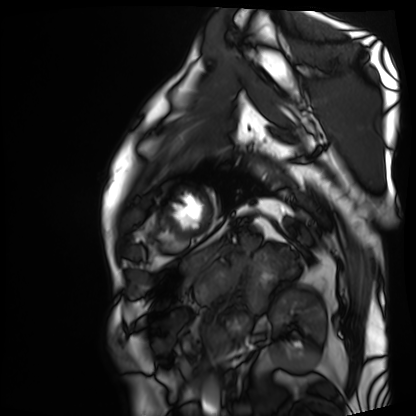
Summary: Cardiac MRI. Subject group: patient.